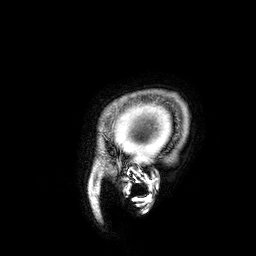
3 Tesla brain MRI. Series: 3D T1-weighted. Study: ring-enhancing brain masses.